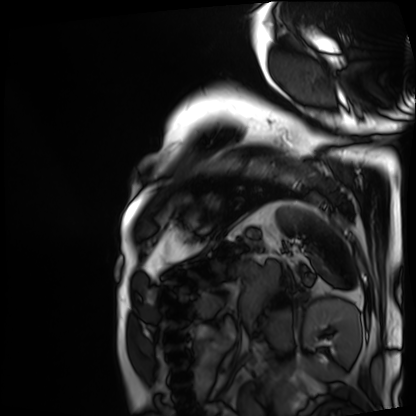
modality: cardiac MRI
cohort: patient